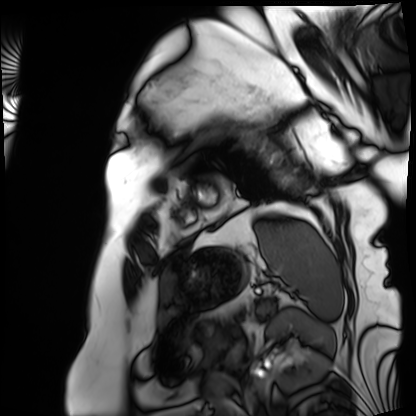
Cardiac MRI. Subject group: patient.